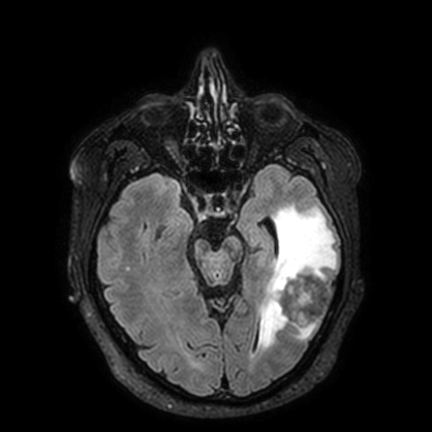
3 Tesla brain MRI. Series: FLAIR VISTA with SENSE. Study: ring-enhancing brain masses.